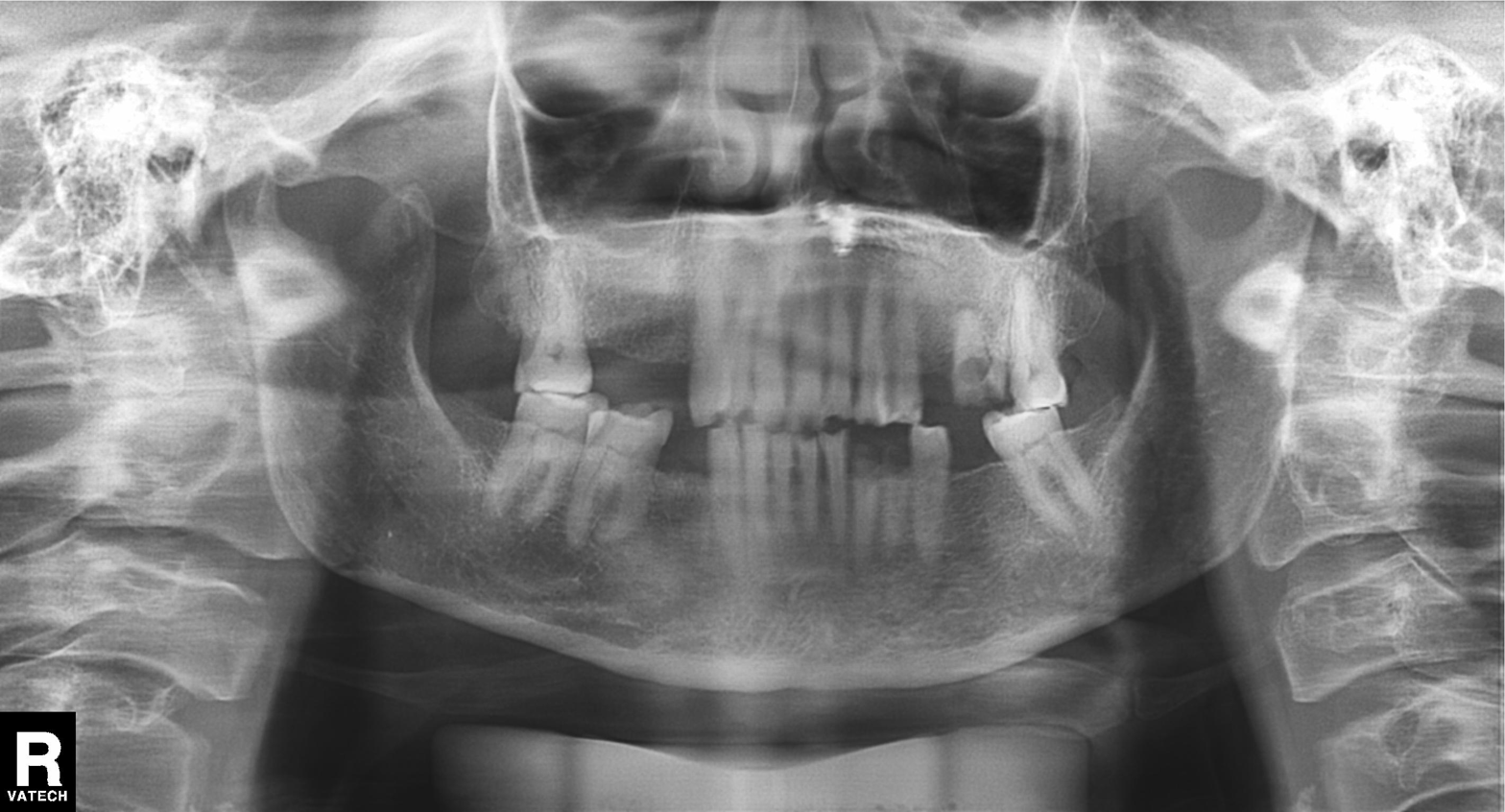
Panoramic dental radiograph (orthopantomogram). Finding: tooth impaction.